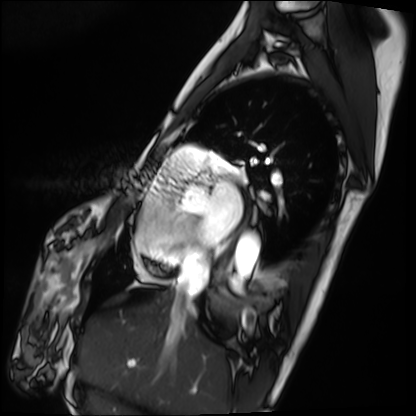
{
  "modality": "cardiac MRI",
  "cohort": "patient"
}